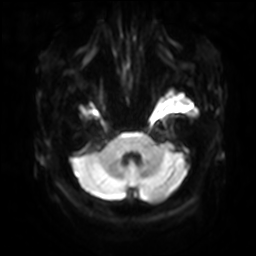
modality — 3 Tesla brain MRI; series — diffusion-weighted imaging with SENSE (WIP); study — ring-enhancing brain masses.